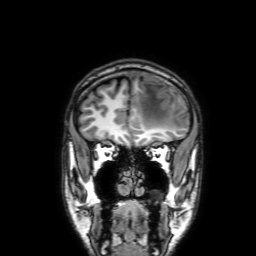
Summary: 3 Tesla brain MRI. Series: 3D T1-weighted with SENSE. Study: ring-enhancing brain masses.